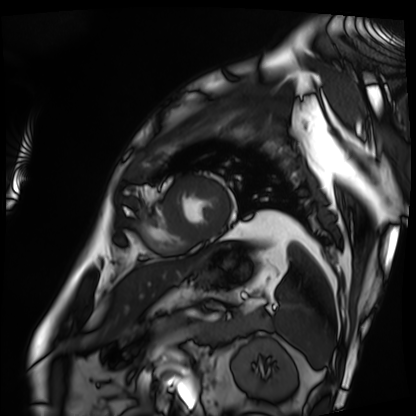
Cardiac MRI. Subject group: patient.